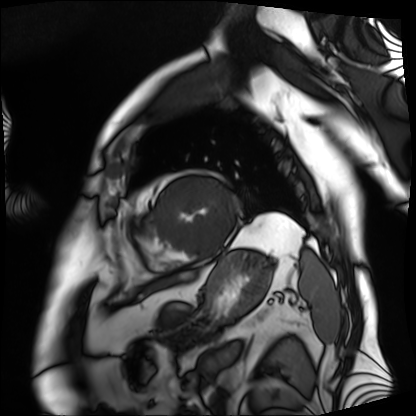
| field | value |
|---|---|
| modality | cardiac MRI |
| subject group | patient |